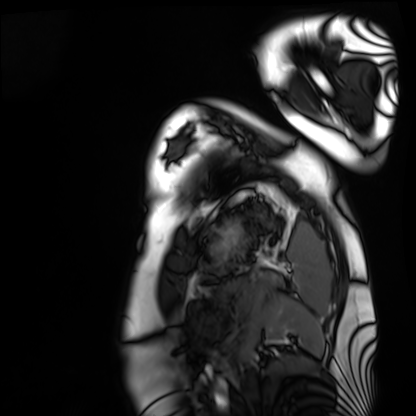
modality: cardiac MRI; subject group: healthy volunteer.